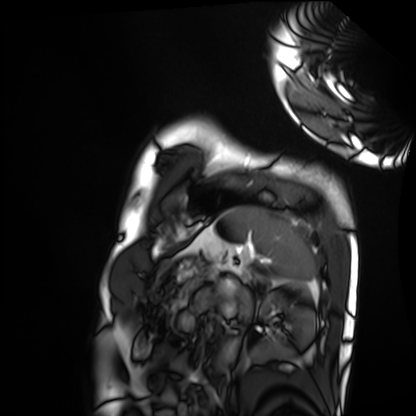
{"modality": "cardiac MRI", "cohort": "healthy volunteer"}